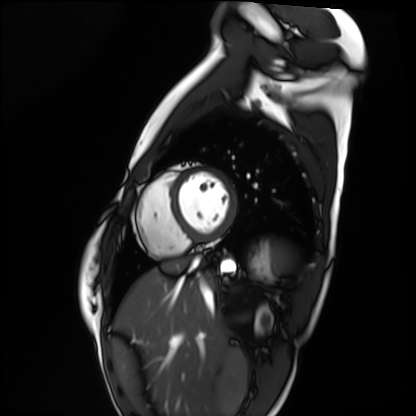
- modality — cardiac MRI
- subject group — healthy volunteer